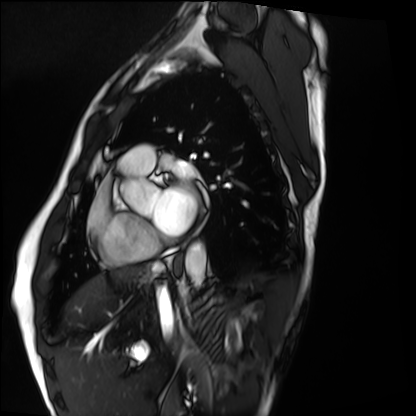
Clinical context:
Cardiac MRI. Subject group: healthy volunteer.